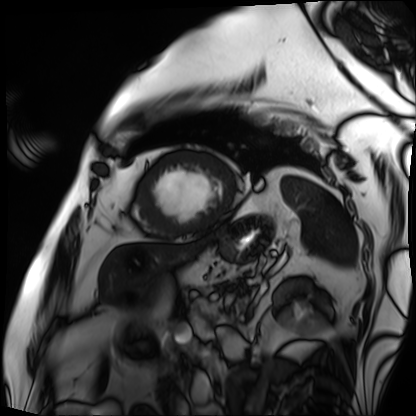
| field | value |
|---|---|
| modality | cardiac MRI |
| subject group | patient |